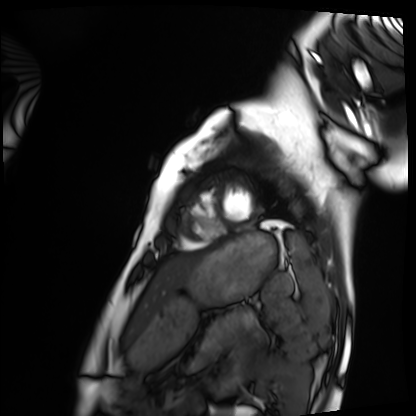
Cardiac MRI. Subject group: healthy volunteer.